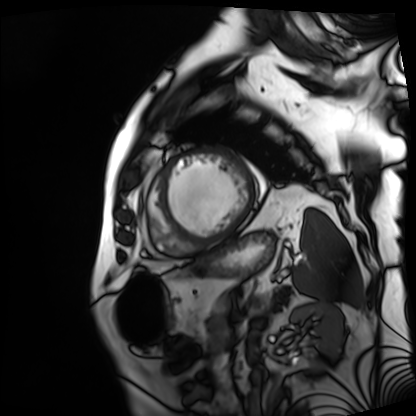
Cardiac MRI. Subject group: patient.